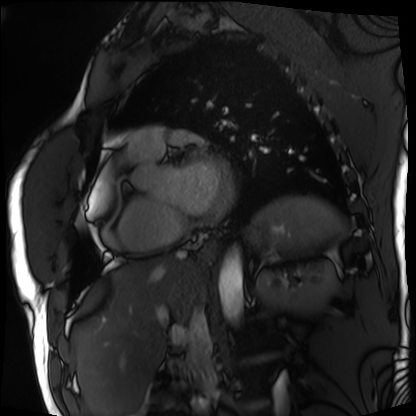
Cardiac MRI. Subject group: patient.